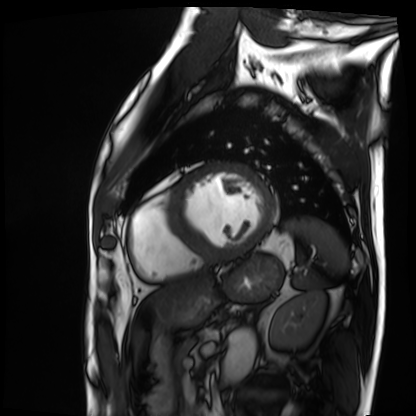
Summary:
Cardiac MRI. Subject group: patient.